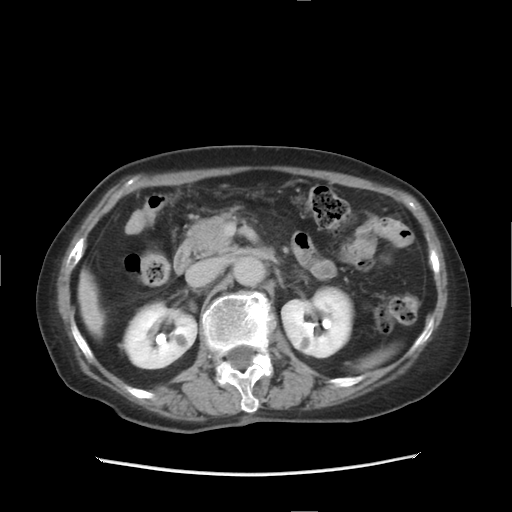
| field | value |
|---|---|
| modality | multiphase abdominal CT, liver, delayed phase |